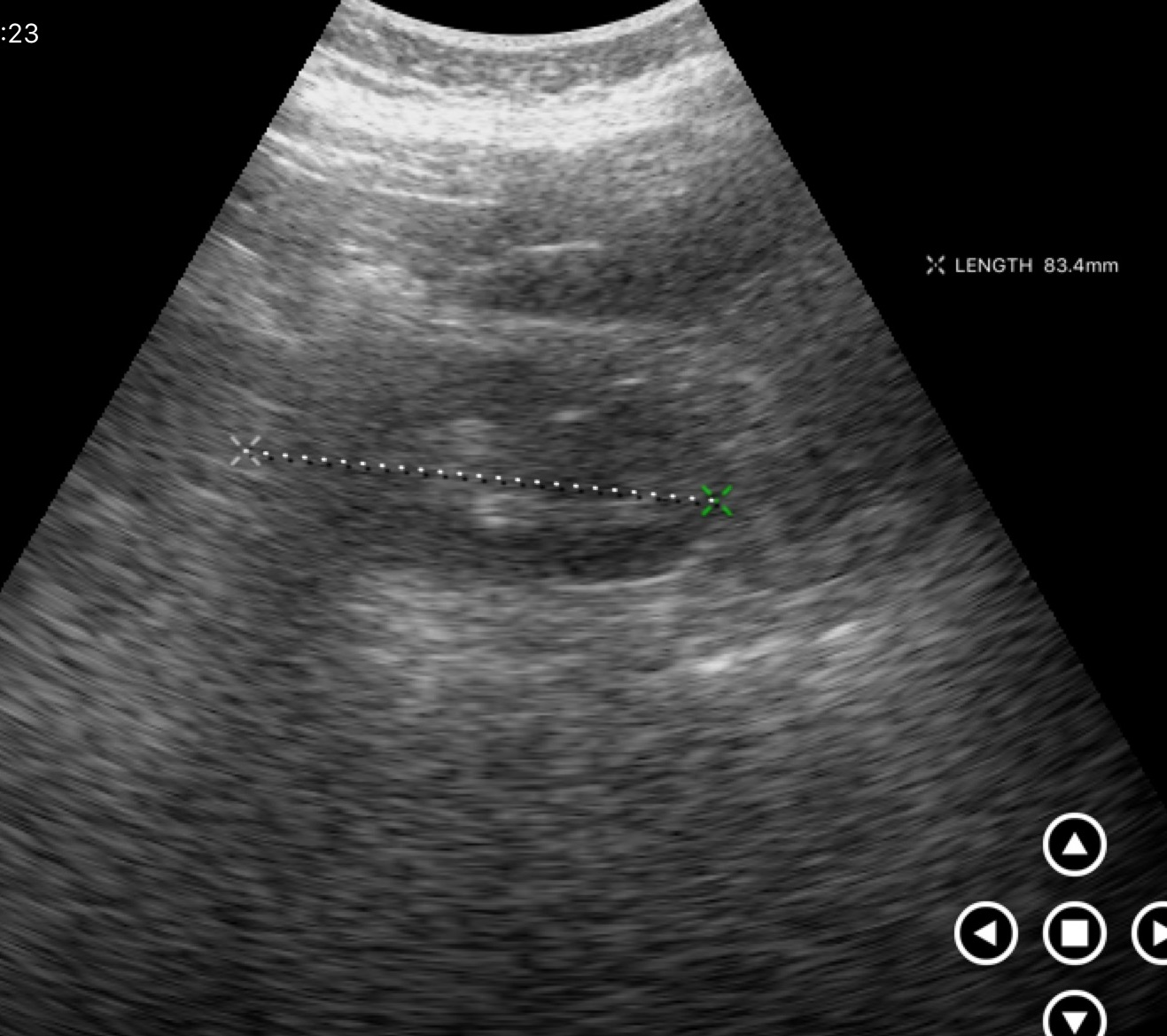
Genitourinary ultrasound.